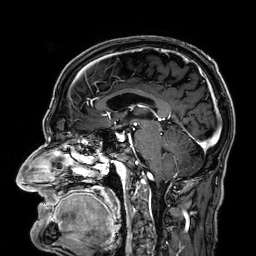
3 Tesla brain MRI. Series: 3D T1-weighted. Study: ring-enhancing brain masses.